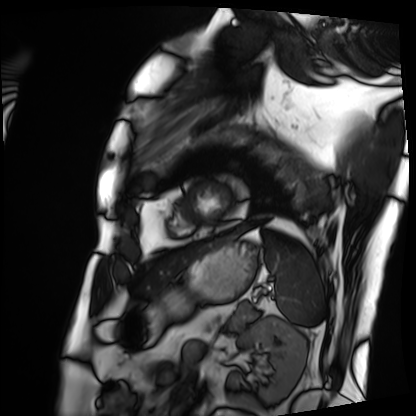
{"modality": "cardiac MRI", "cohort": "patient"}